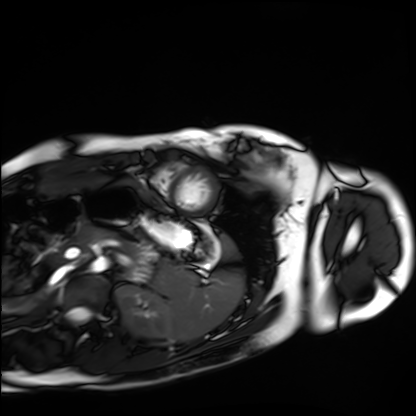
Clinical context:
Cardiac MRI. Subject group: healthy volunteer.